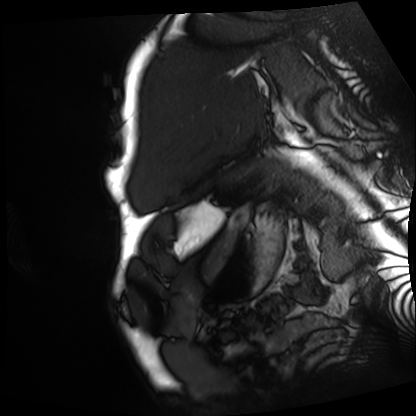
Cardiac MRI.
Subject group: patient.